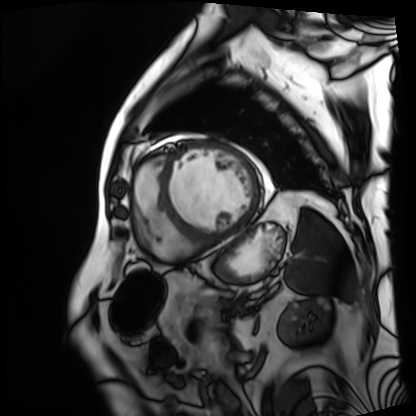
Cardiac MRI. Subject group: patient.